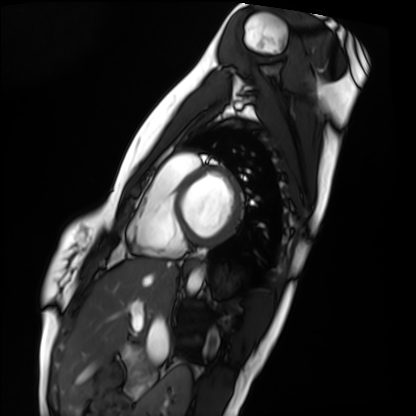
* modality · cardiac MRI
* subject group · healthy volunteer